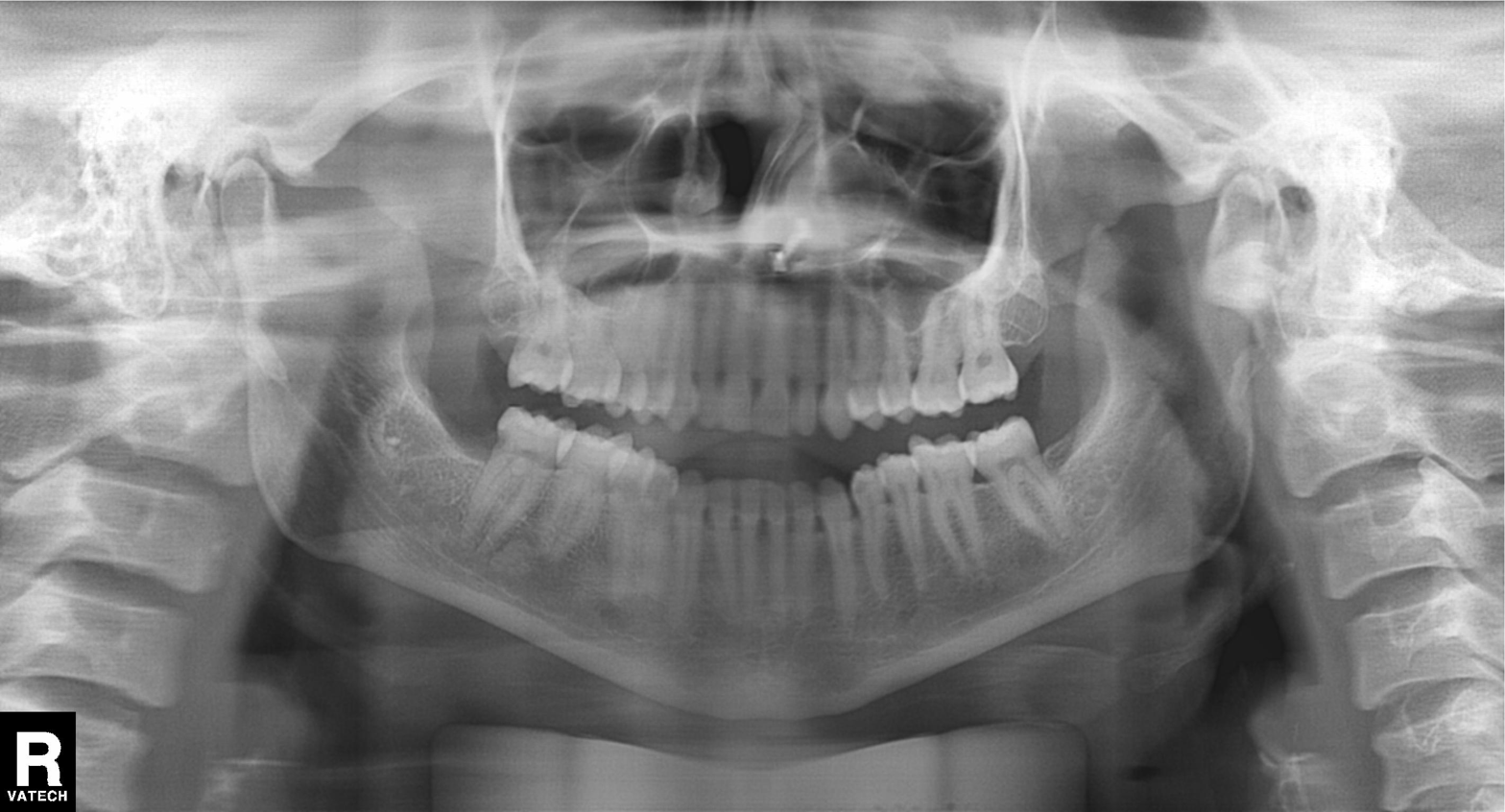
Panoramic dental radiograph (orthopantomogram).
Finding: dental caries (cavities).